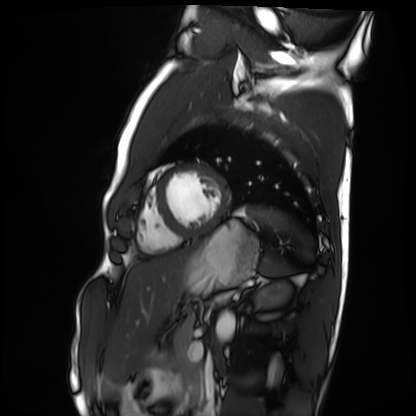
Summary: Cardiac MRI. Subject group: healthy volunteer.